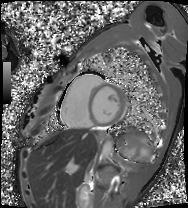
| field | value |
|---|---|
| modality | cardiac MRI |
| subject group | patient |